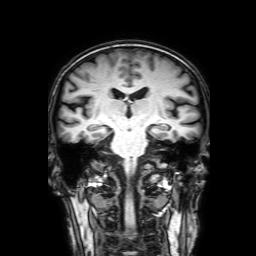
3 Tesla brain MRI. Series: 3D T1-weighted with SENSE. Study: ring-enhancing brain masses.